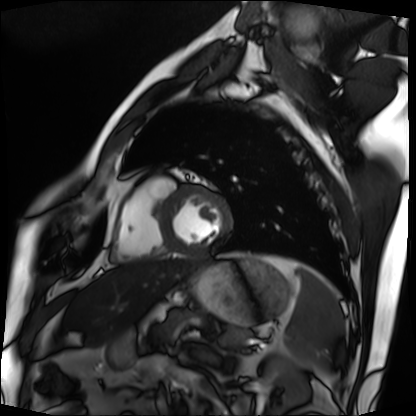
Cardiac MRI. Subject group: patient.